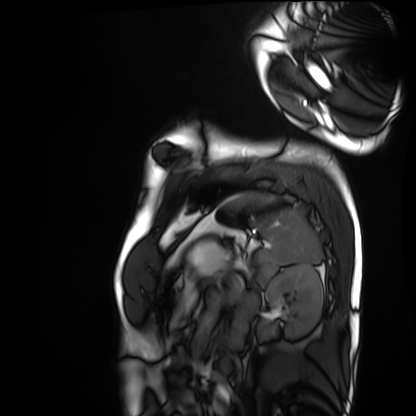
Summary: Cardiac MRI. Subject group: healthy volunteer.